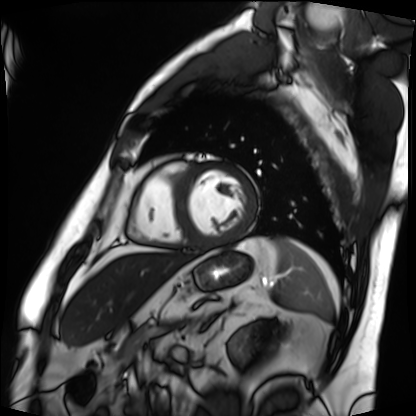
Case summary: Cardiac MRI. Subject group: patient.